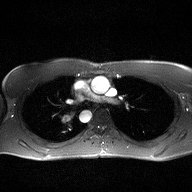
2D phase-contrast cine MRI of the ascending aorta, high-resolution GRAPPA acquisition.